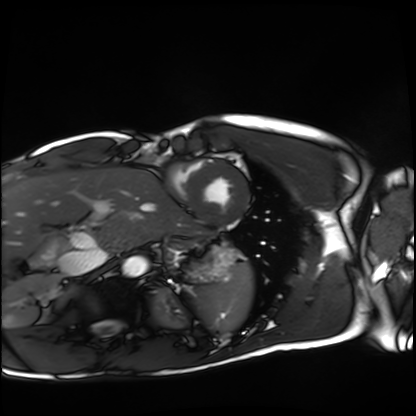
Cardiac MRI. Subject group: healthy volunteer.